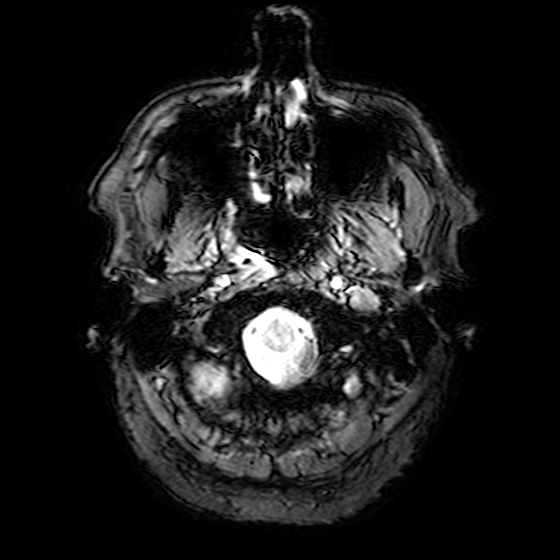
Q: What kind of scan is this?
A: 3 Tesla brain MRI.
Q: Series?
A: T2-weighted fast field echo.
Study: ring-enhancing brain masses.